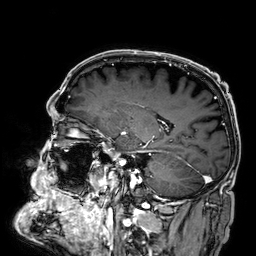
modality=3 Tesla brain MRI
series=3D T1-weighted
study=ring-enhancing brain masses